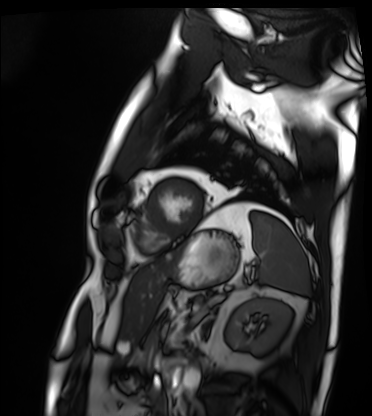
{
  "modality": "cardiac MRI",
  "cohort": "patient"
}